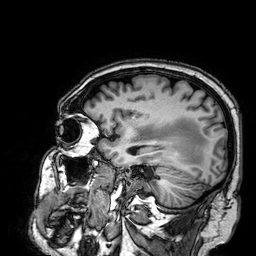
Case:
- modality — 3 Tesla brain MRI
- series — 3D T1-weighted
- study — ring-enhancing brain masses